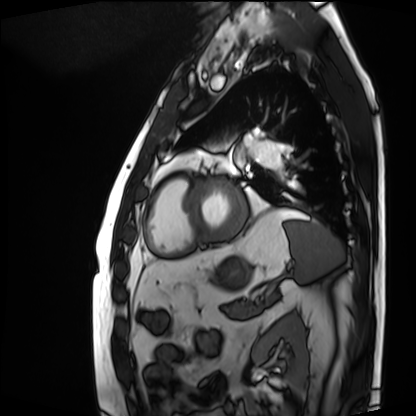
Summary:
Cardiac MRI. Subject group: patient.